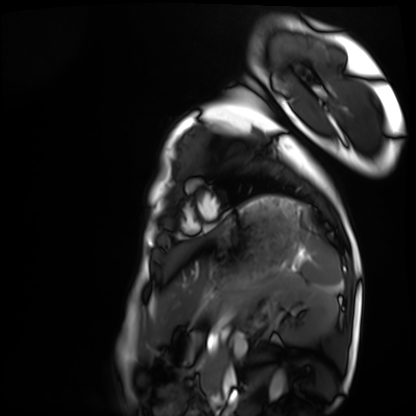
Cardiac MRI.
Subject group: healthy volunteer.